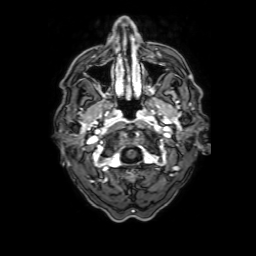
Summary:
3 Tesla brain MRI. Series: 3D T1-weighted with SENSE. Study: ring-enhancing brain masses.